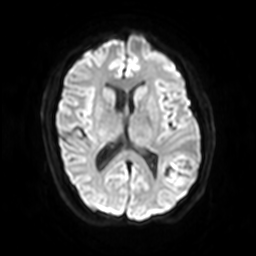
Summary:
3 Tesla brain MRI. Series: diffusion-weighted imaging with SENSE (WIP). Study: ring-enhancing brain masses.